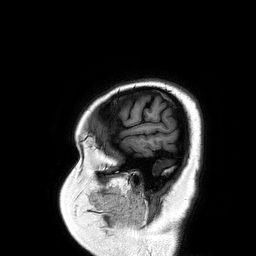
– modality · 3 Tesla brain MRI
– series · 3D T1-weighted turbo field echo
– study · ring-enhancing brain masses